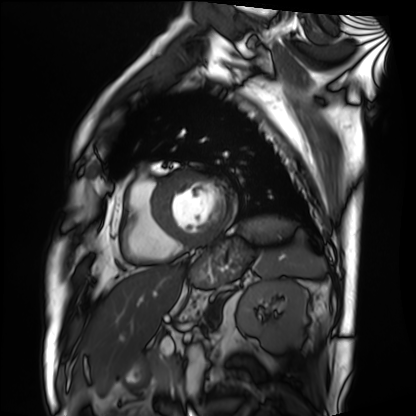
Clinical context:
Cardiac MRI. Subject group: patient.